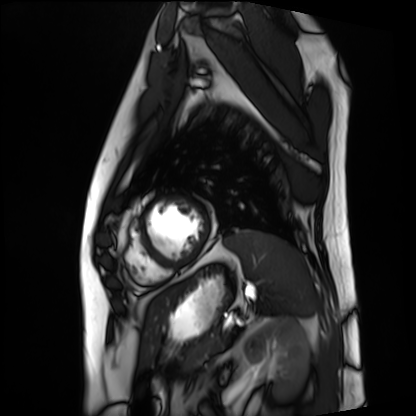
• modality: cardiac MRI
• subject group: patient